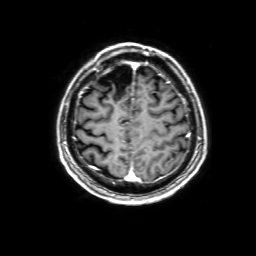
| field | value |
|---|---|
| modality | 3 Tesla brain MRI |
| series | 3D T1-weighted with SENSE |
| study | ring-enhancing brain masses |